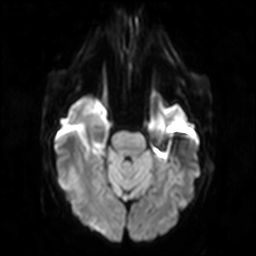
Q: What kind of scan is this?
A: 3 Tesla brain MRI.
Q: Series?
A: Diffusion-weighted imaging.
Study: ring-enhancing brain masses.